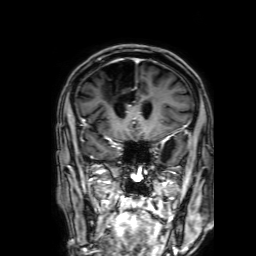
modality: 3 Tesla brain MRI; series: 3D T1-weighted with SENSE; study: ring-enhancing brain masses.